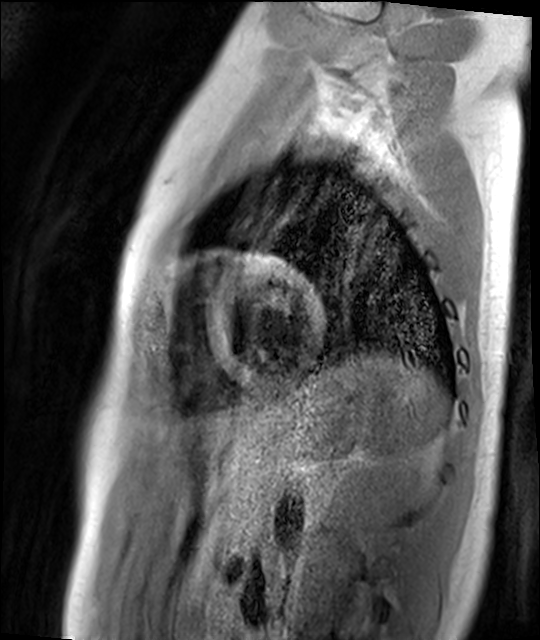
Summary: Cardiac MR image of the myocardium. Subject cohort: healthy volunteer.